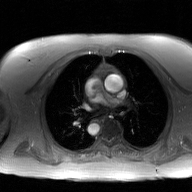
modality: 2D phase-contrast cine MRI of the ascending aorta, GAN super-resolution reconstruction.